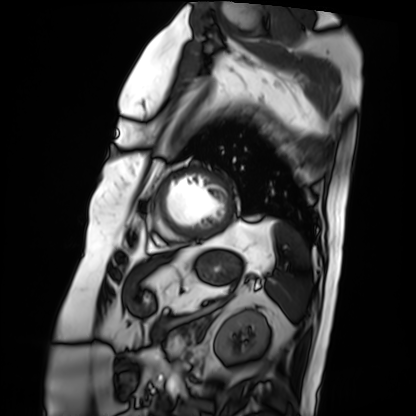
modality = cardiac MRI | subject group = patient.